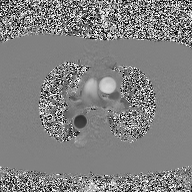
2D phase-contrast cine MRI of the ascending aorta, high-resolution GRAPPA acquisition.